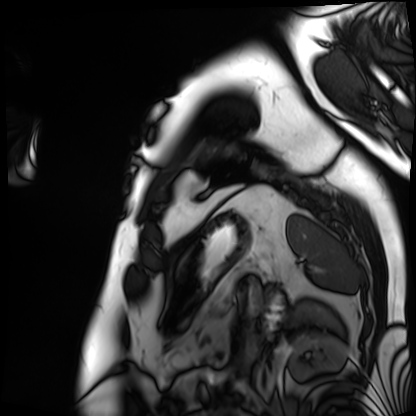
– modality: cardiac MRI
– subject group: patient